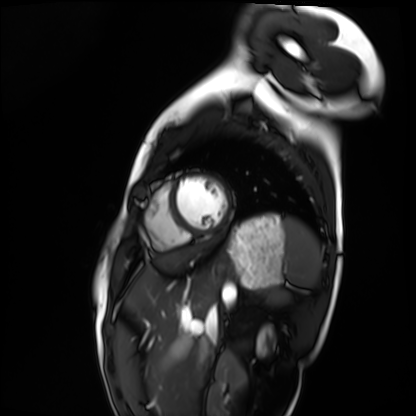
modality=cardiac MRI | subject group=healthy volunteer.